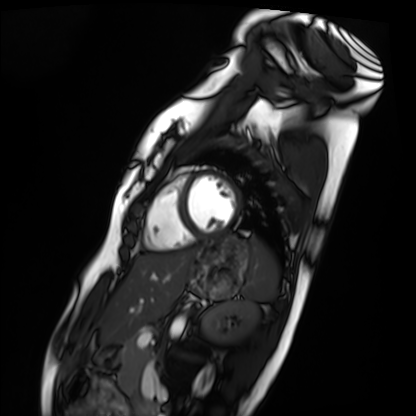
modality: cardiac MRI; subject group: healthy volunteer.